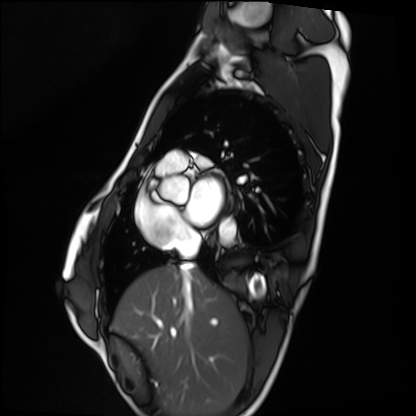
* modality: cardiac MRI
* subject group: healthy volunteer